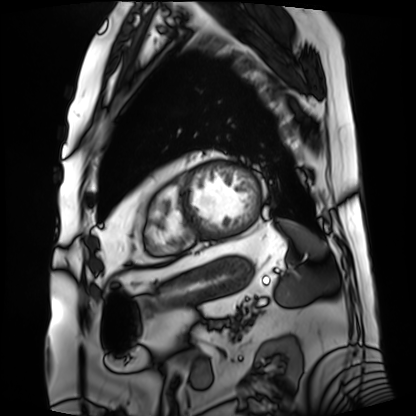
Cardiac MRI. Subject group: patient.